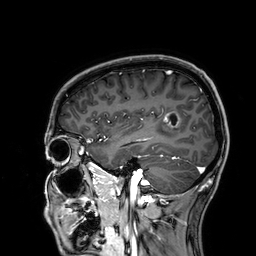
modality: 3 Tesla brain MRI; series: 3D T1-weighted; study: ring-enhancing brain masses.